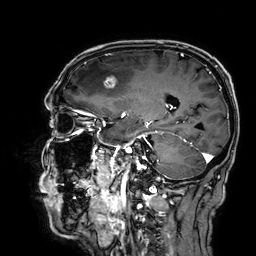
  modality:
    type: brain MRI
    field_strength: 3T
  series: 3D T1-weighted
  study_topic: ring-enhancing brain masses